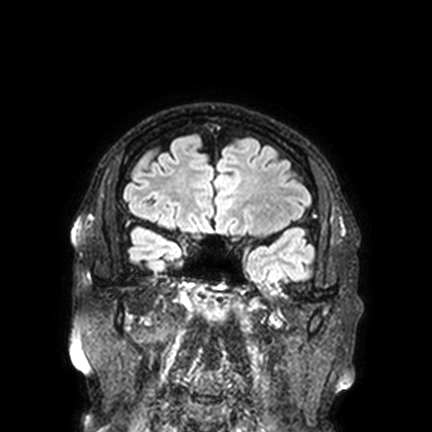
Case summary: 3 Tesla brain MRI. Series: FLAIR VISTA with SENSE. Study: ring-enhancing brain masses.